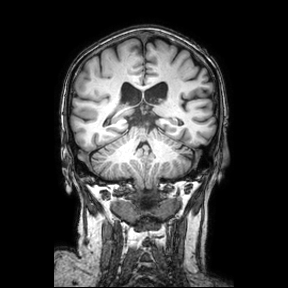
3 Tesla brain MRI. Series: coronal. Study: ring-enhancing brain masses.